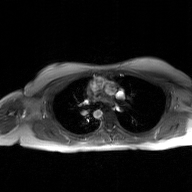
2D phase-contrast cine MRI of the ascending aorta, GAN super-resolution reconstruction.